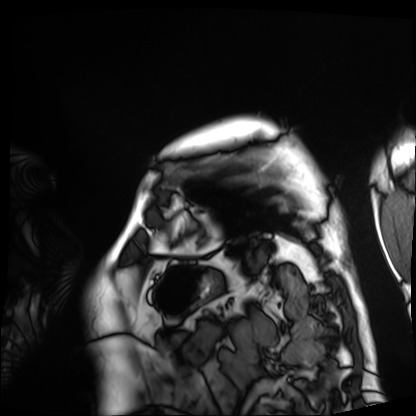
modality: cardiac MRI
cohort: patient